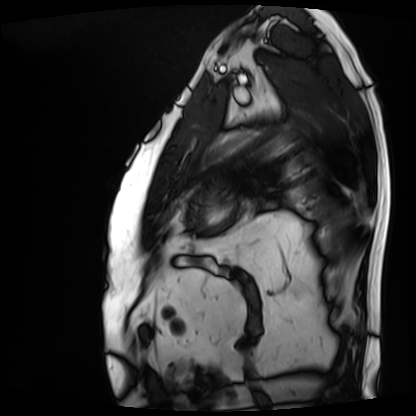
– modality · cardiac MRI
– subject group · patient